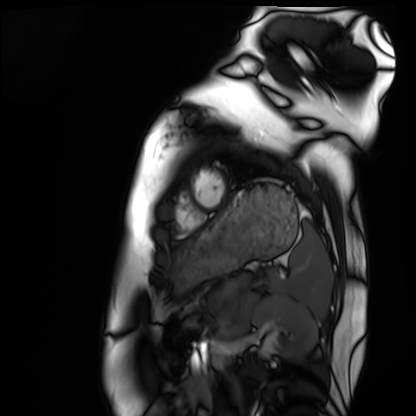
modality: cardiac MRI
subject group: healthy volunteer